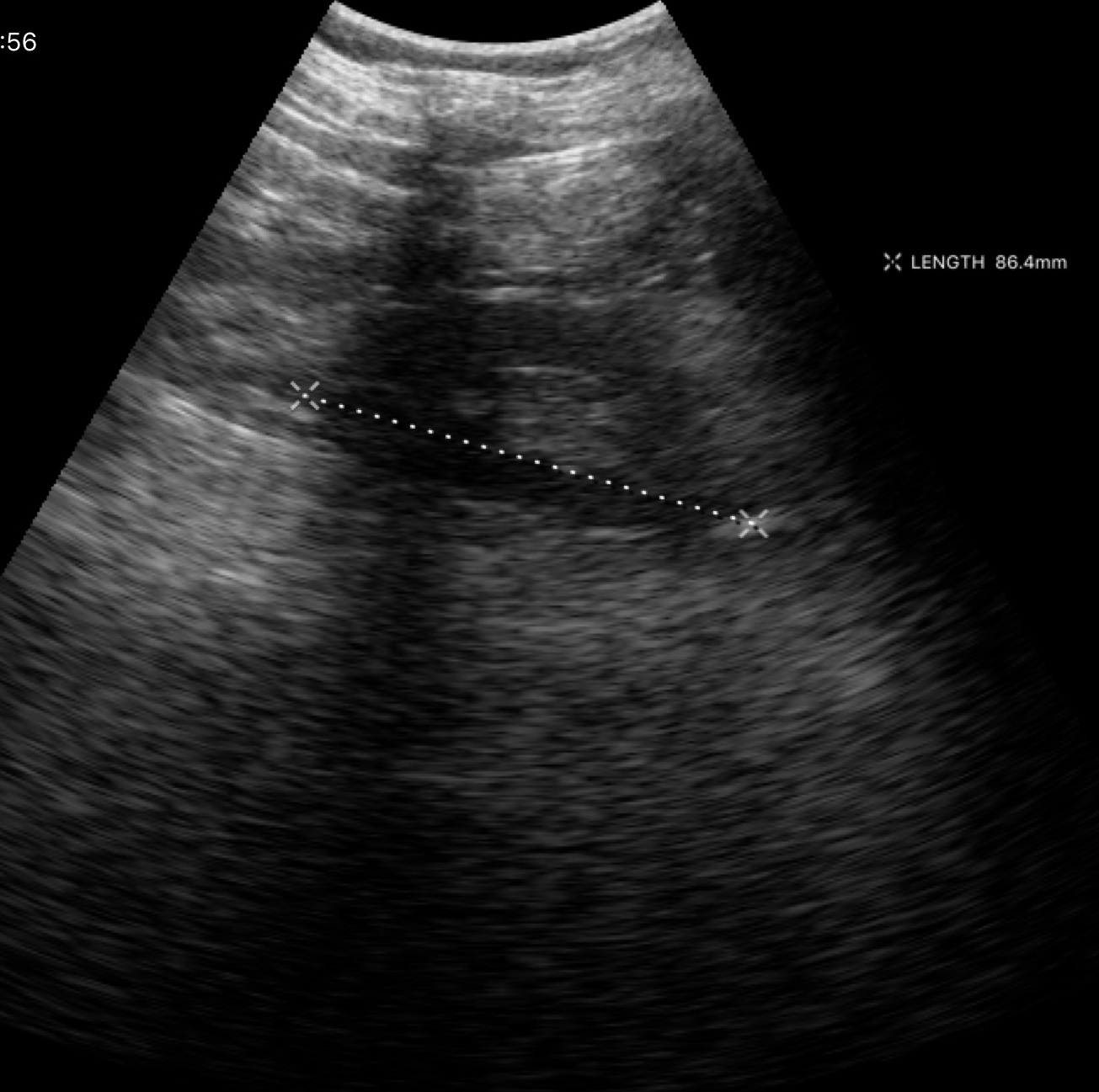
Case summary:
Genitourinary ultrasound.